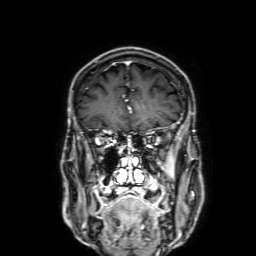
| field | value |
|---|---|
| modality | 3 Tesla brain MRI |
| study | ring-enhancing brain masses |